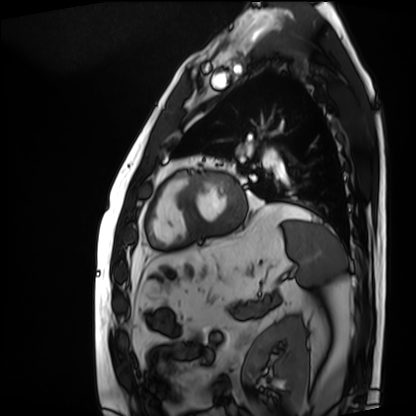
- modality: cardiac MRI
- subject group: patient